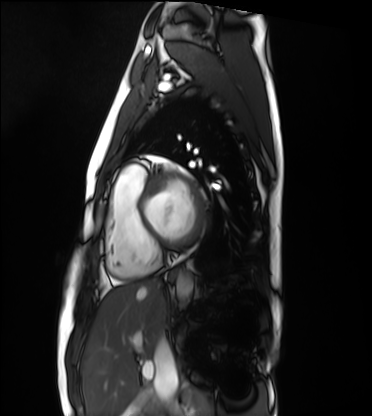
Cardiac MRI. Subject group: healthy volunteer.